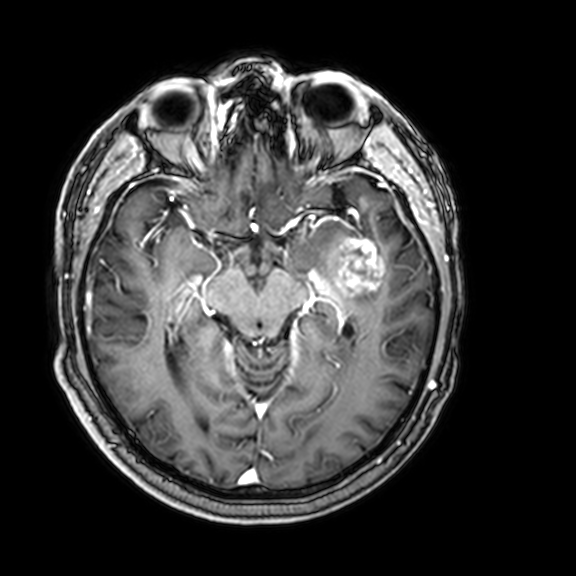
modality = 3 Tesla brain MRI; series = 3D T1-weighted with CLEAR; study = ring-enhancing brain masses.